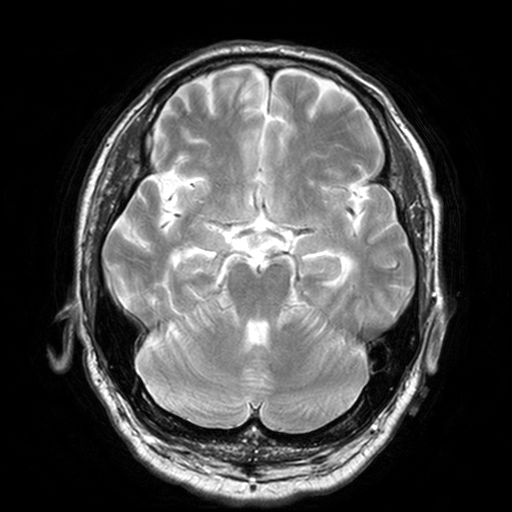
Case summary: 3 Tesla brain MRI. Series: T2-weighted turbo spin echo, 3 mm. Study: ring-enhancing brain masses.